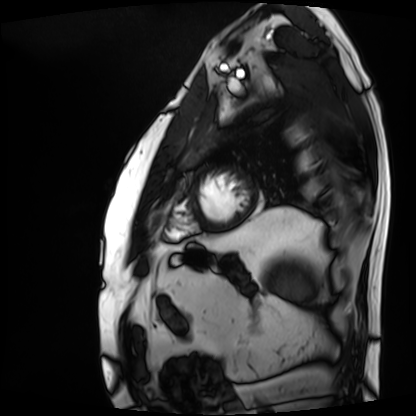
Q: What kind of scan is this?
A: Cardiac MRI.
Subject group: patient.